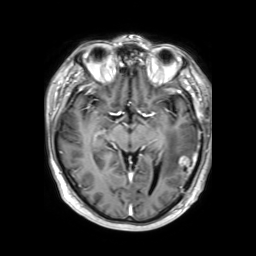
modality=3 Tesla brain MRI
series=3D T1-weighted TFE with SENSE
study=ring-enhancing brain masses